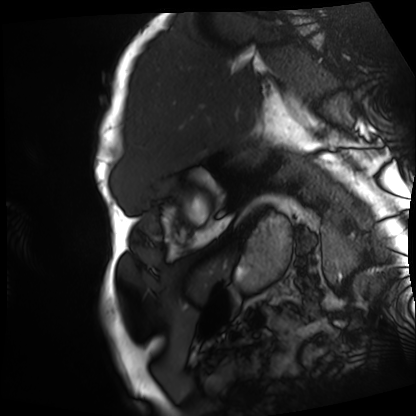
Q: What kind of scan is this?
A: Cardiac MRI.
Subject group: patient.